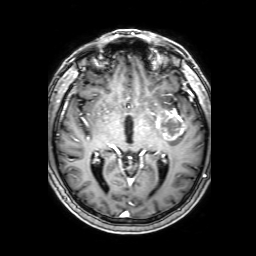
* modality · 3 Tesla brain MRI
* series · 3D T1-weighted with SENSE
* study · ring-enhancing brain masses